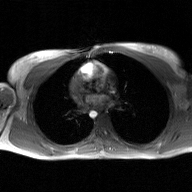
2D phase-contrast cine MRI of the ascending aorta, GAN super-resolution reconstruction.